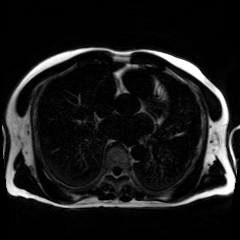
Chemical-shift-encoded cardiac MRI.